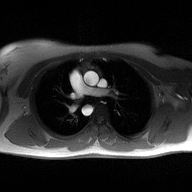
2D phase-contrast cine MRI of the ascending aorta, high-resolution GRAPPA acquisition.